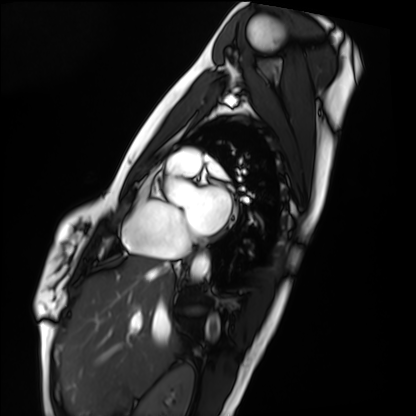
Cardiac MRI. Subject group: healthy volunteer.